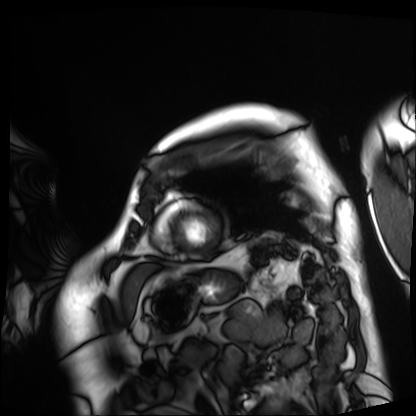
Cardiac MRI.
Subject group: patient.